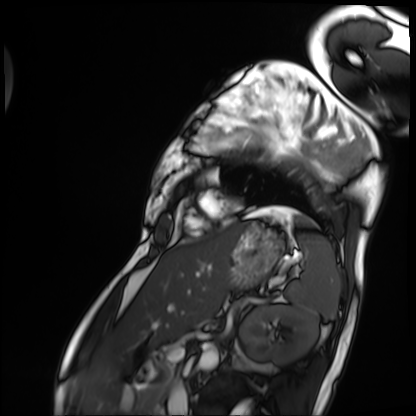
– modality — cardiac MRI
– subject group — patient